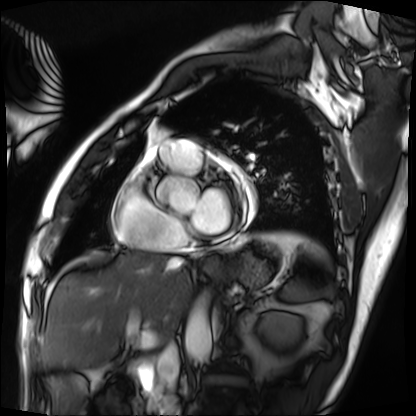
Cardiac MRI. Subject group: patient.